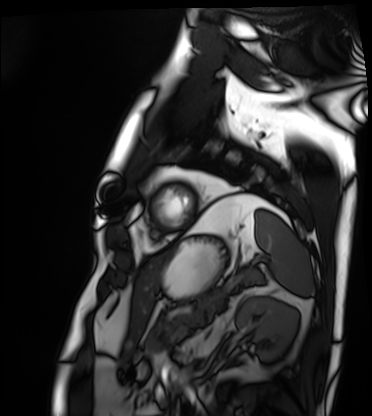
Cardiac MRI.
Subject group: patient.